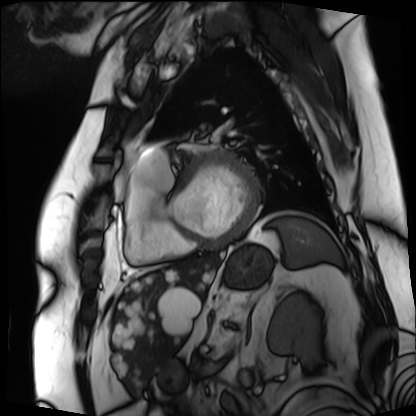
Cardiac MRI.
Subject group: patient.